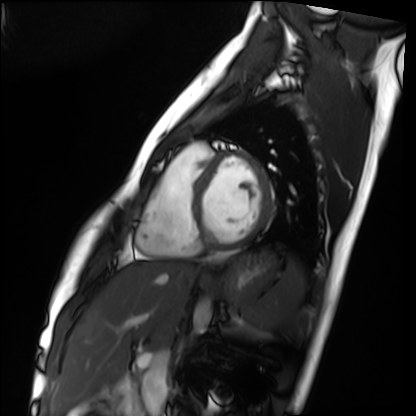
Case summary: Cardiac MRI. Subject group: healthy volunteer.